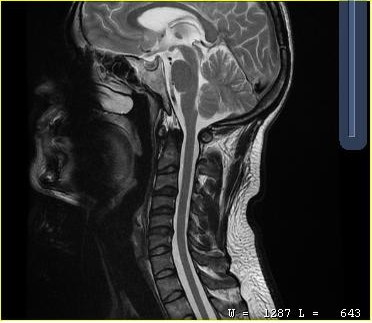
Summary:
MRI of the cervical spine. Study: cervical spondylosis.